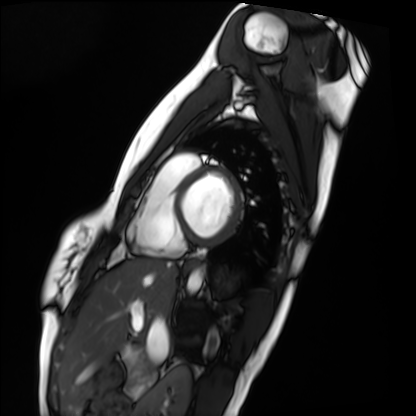
Q: What kind of scan is this?
A: Cardiac MRI.
Subject group: healthy volunteer.